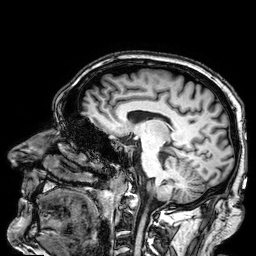
{"modality": {"type": "brain MRI", "field_strength": "3T"}, "series": "3D T1-weighted", "study_topic": "ring-enhancing brain masses"}